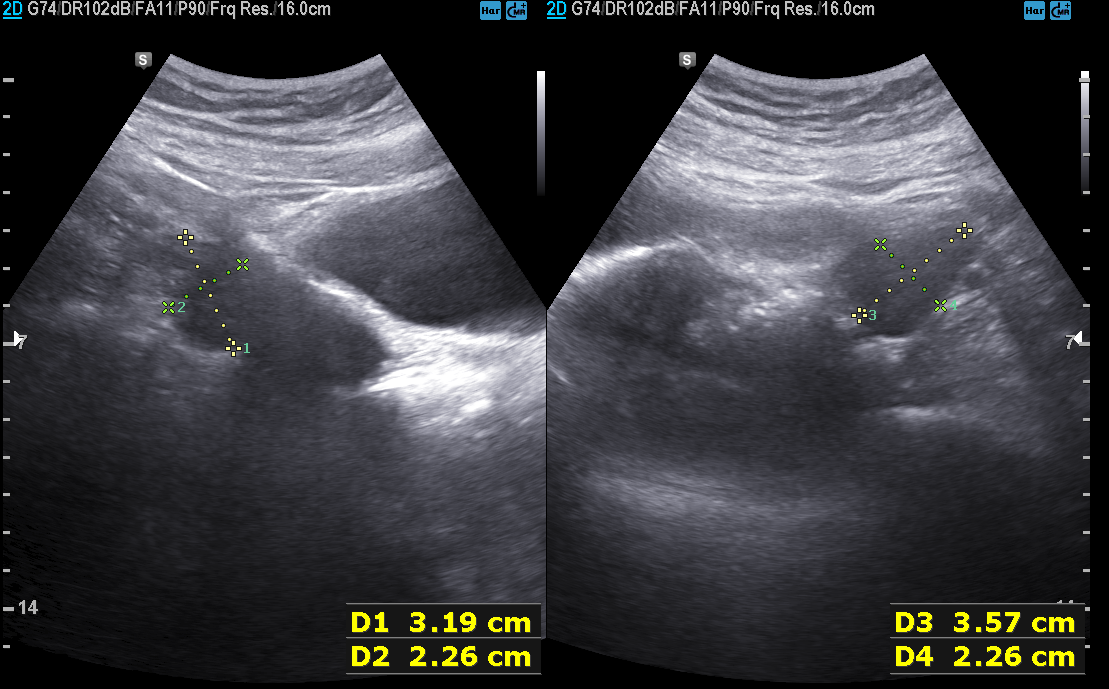
Genitourinary ultrasound.